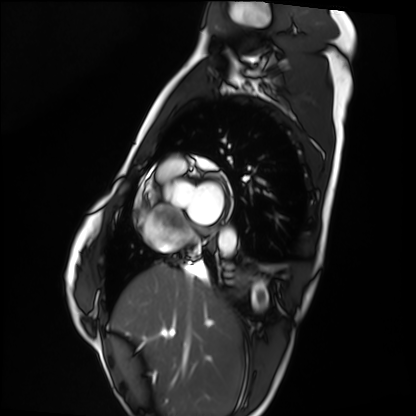
Cardiac MRI. Subject group: healthy volunteer.